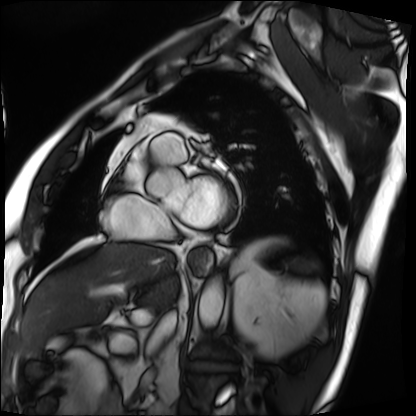
– modality · cardiac MRI
– subject group · patient